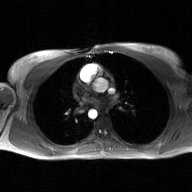
Q: What kind of scan is this?
A: 2D phase-contrast cine MRI of the ascending aorta, GAN super-resolution reconstruction.